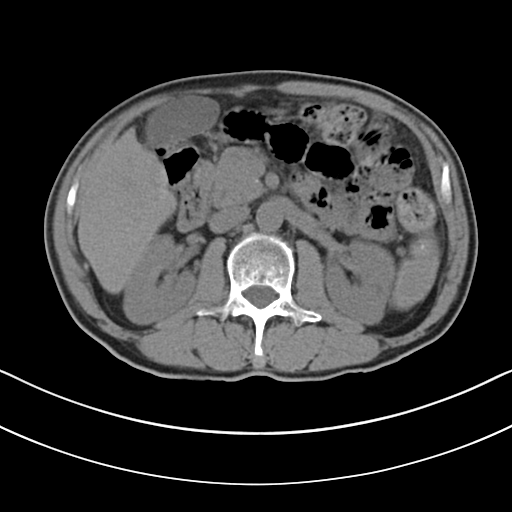
modality — multiphase abdominal CT, liver, non-contrast phase
patient — male, age 69
history — cirrhosis, viral hepatitis